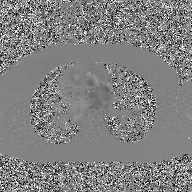
2D phase-contrast cine MRI of the ascending aorta, GAN super-resolution reconstruction.